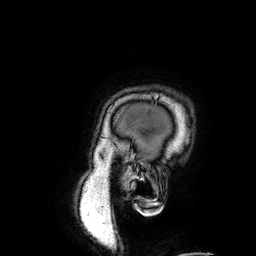
3 Tesla brain MRI. Series: 3D T1-weighted. Study: ring-enhancing brain masses.